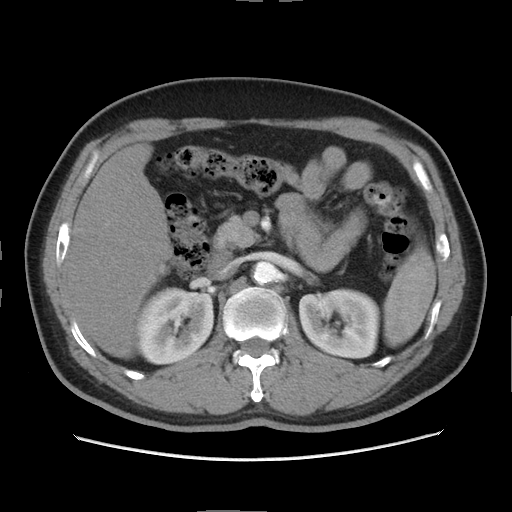
modality: multiphase abdominal CT, liver, arterial phase | patient: male, age 56.